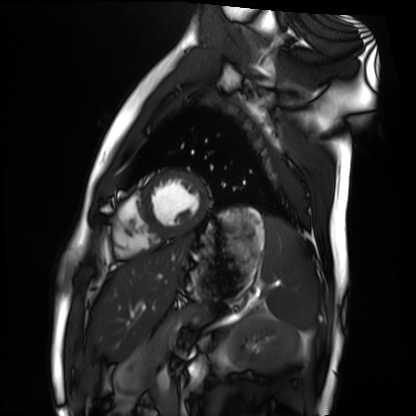
Cardiac MRI. Subject group: healthy volunteer.